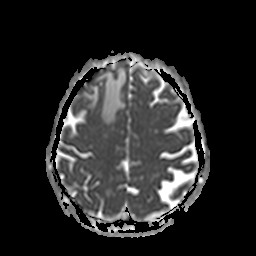
3 Tesla brain MRI. Study: ring-enhancing brain masses.